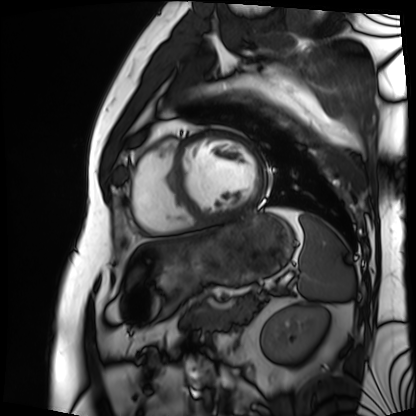
{
  "modality": "cardiac MRI",
  "cohort": "patient"
}